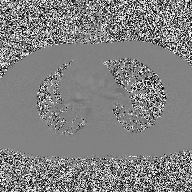
<record>
<modality>
  <type>2D phase-contrast cine MRI</type>
  <region>ascending aorta</region>
  <reconstruction>high-resolution GRAPPA acquisition</reconstruction>
</modality>
</record>